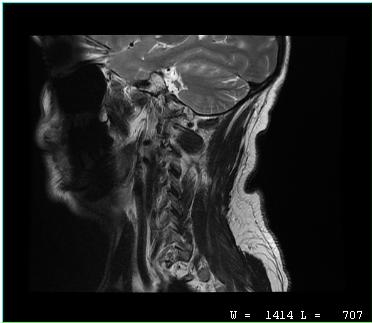
Case summary:
MRI of the cervical spine. Study: cervical spondylosis.